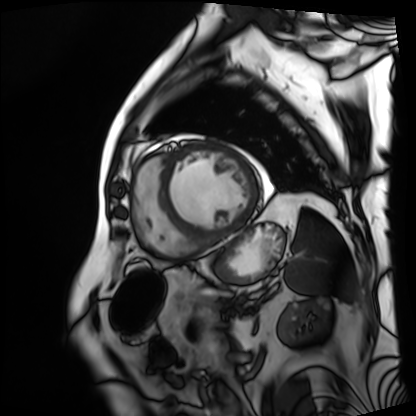
Cardiac MRI.
Subject group: patient.